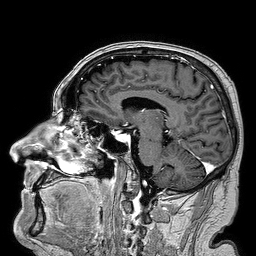
<scan>
  <modality>
    <type>brain MRI</type>
    <field_strength>3T</field_strength>
  </modality>
  <series>3D T1-weighted turbo field echo</series>
  <study_topic>ring-enhancing brain masses</study_topic>
</scan>